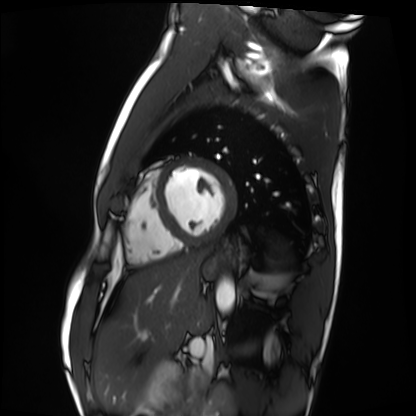
Cardiac MRI. Subject group: healthy volunteer.